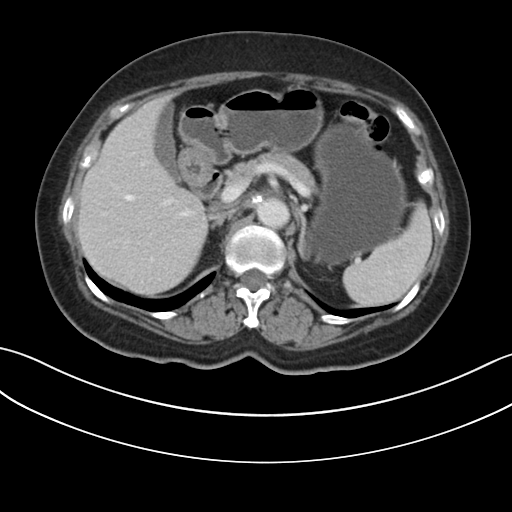
– modality · multiphase abdominal CT, liver, portal venous phase
– patient · female, age 64